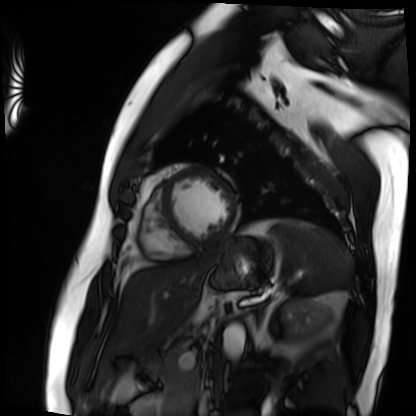
Clinical context: Cardiac MRI. Subject group: patient.